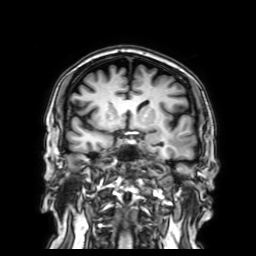
modality — 3 Tesla brain MRI; series — 3D T1-weighted with SENSE; study — ring-enhancing brain masses.